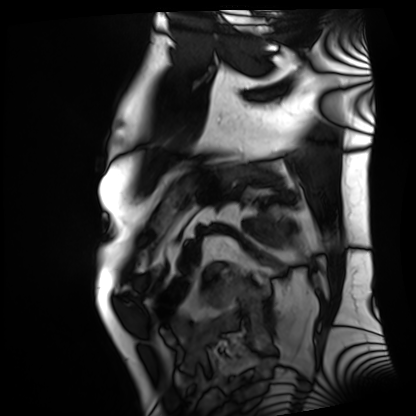
Summary: Cardiac MRI. Subject group: patient.